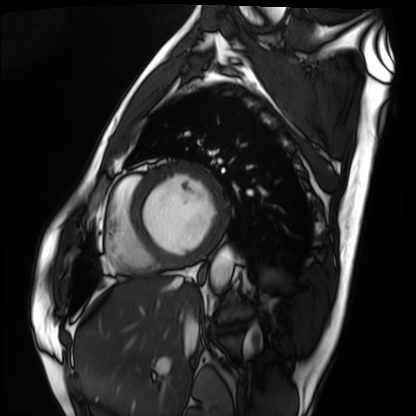
Summary: Cardiac MRI. Subject group: patient.